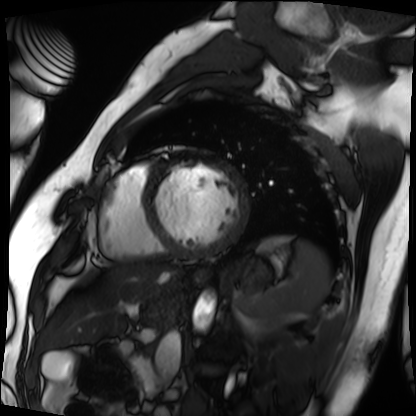
Cardiac MRI.
Subject group: patient.